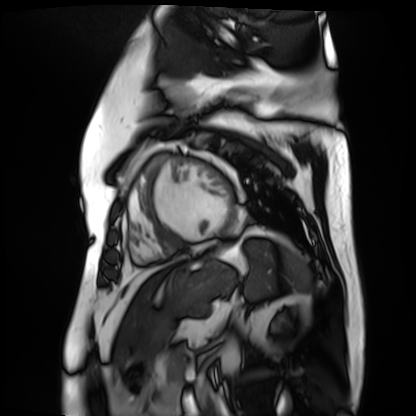
Cardiac MR image of the myocardium. Subject cohort: cardiac patient.